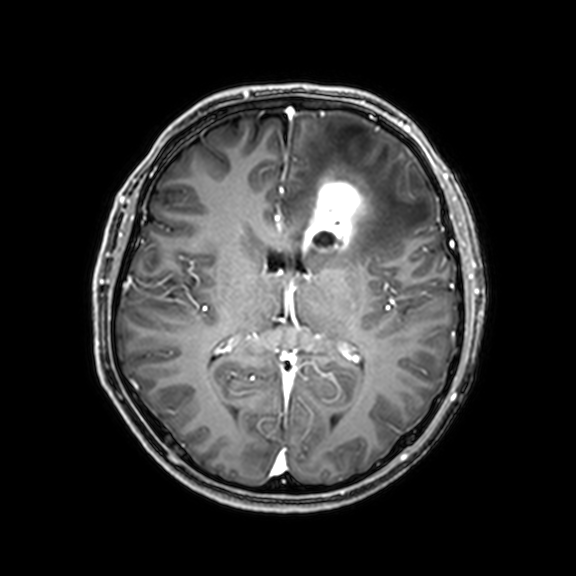
<record>
<modality>
  <type>brain MRI</type>
  <field_strength>3T</field_strength>
</modality>
<series>3D T1-weighted with CLEAR</series>
<study_topic>ring-enhancing brain masses</study_topic>
</record>